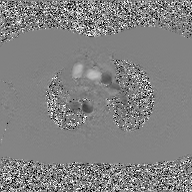
2D phase-contrast cine MRI of the ascending aorta, GAN super-resolution reconstruction.